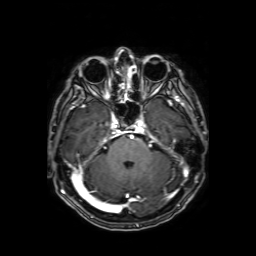
Summary: 3 Tesla brain MRI. Series: axial T1-weighted fusion image. Study: ring-enhancing brain masses.